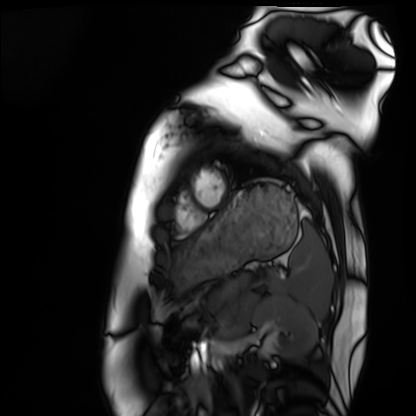
- modality — cardiac MRI
- subject group — healthy volunteer